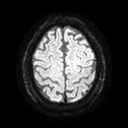
3 Tesla brain MRI. Series: diffusion tensor imaging (medium iso). Study: ring-enhancing brain masses.